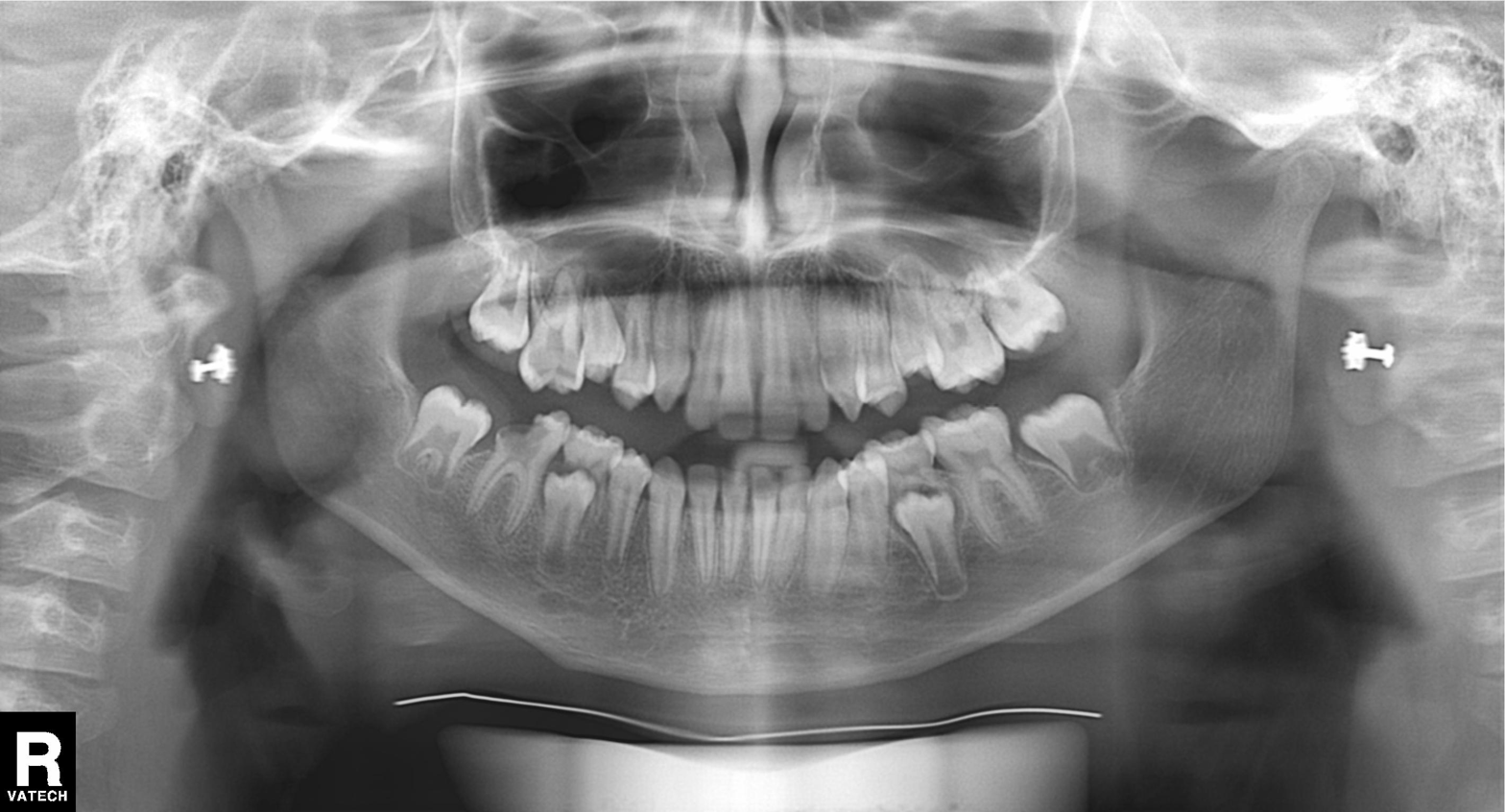
{"modality": "panoramic dental radiograph (orthopantomogram)", "finding": "alveolar bone loss"}